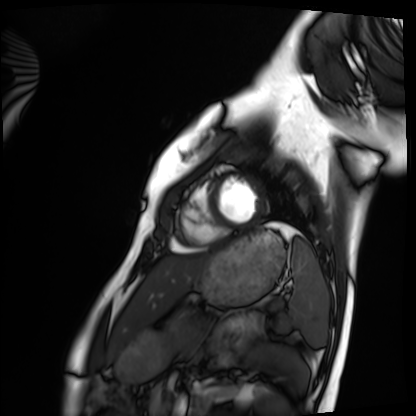
Summary: Cardiac MRI. Subject group: healthy volunteer.